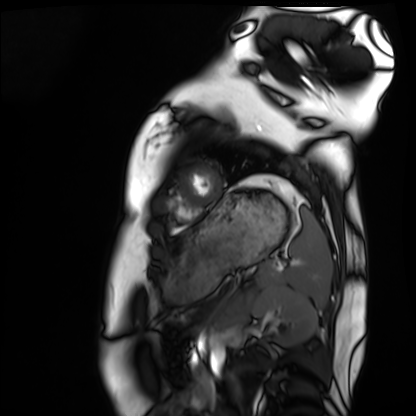
Q: What kind of scan is this?
A: Cardiac MRI.
Subject group: healthy volunteer.